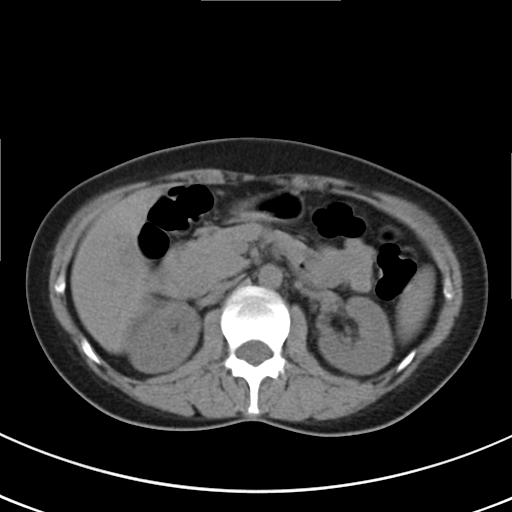
Clinical context: Multiphase abdominal CT, liver, non-contrast phase. Patient: female, age 43.